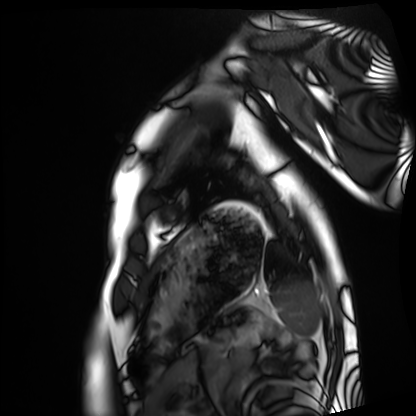
<record>
<modality>cardiac MRI</modality>
<cohort>healthy volunteer</cohort>
</record>